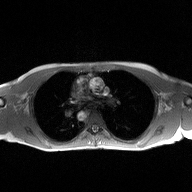
Case:
– modality: 2D phase-contrast cine MRI of the ascending aorta